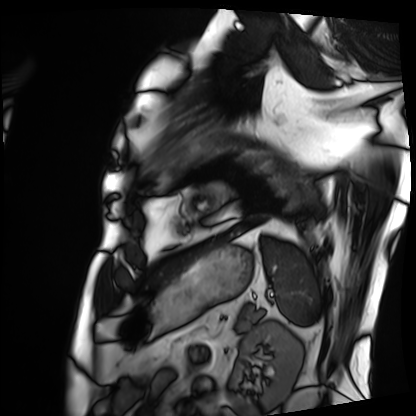
Q: What kind of scan is this?
A: Cardiac MRI.
Subject group: patient.